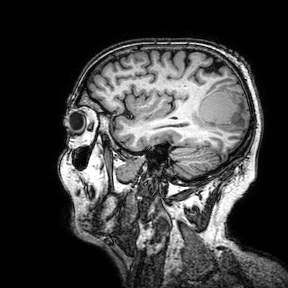
Q: What kind of scan is this?
A: 3 Tesla brain MRI.
Q: Series?
A: 3D T1-weighted turbo field echo with SENSE.
Study: ring-enhancing brain masses.